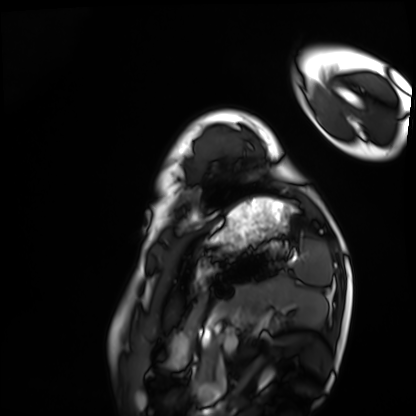
Q: What kind of scan is this?
A: Cardiac MRI.
Subject group: healthy volunteer.